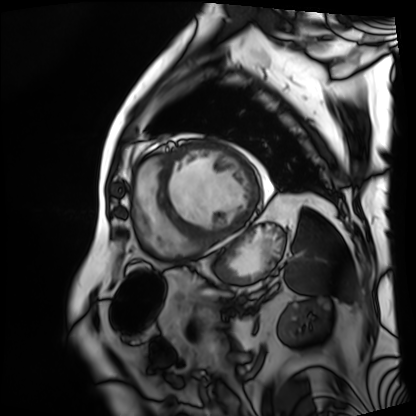
Summary:
Cardiac MRI. Subject group: patient.